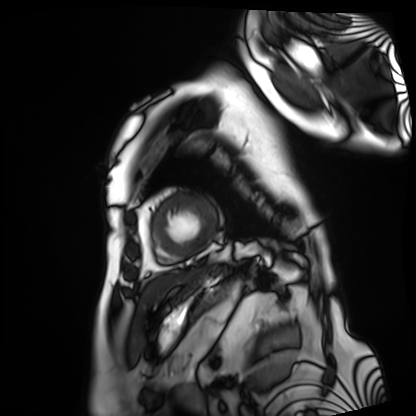
Case summary: Cardiac MRI. Subject group: patient.